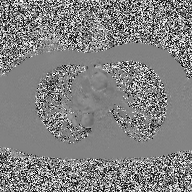
| field | value |
|---|---|
| modality | 2D phase-contrast cine MRI of the ascending aorta |